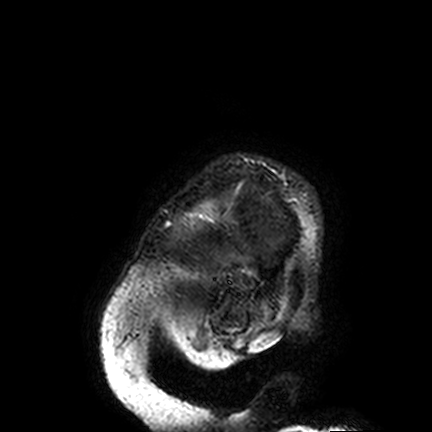
modality=3 Tesla brain MRI
series=FLAIR VISTA
study=ring-enhancing brain masses